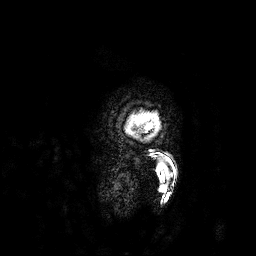
Q: What kind of scan is this?
A: 3 Tesla brain MRI.
Q: Series?
A: 3D T1-weighted.
Study: ring-enhancing brain masses.